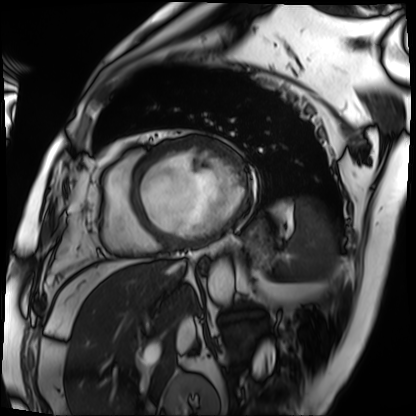
Q: What kind of scan is this?
A: Cardiac MRI.
Subject group: patient.